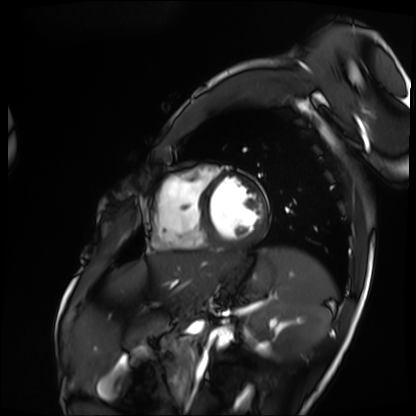
Cardiac MRI. Subject group: patient.